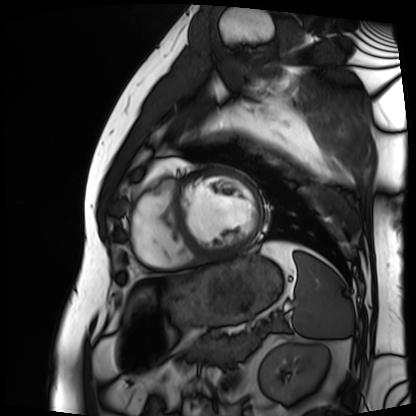
Cardiac MRI. Subject group: patient.